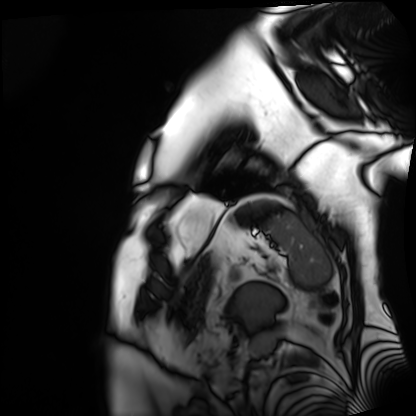
Cardiac MRI. Subject group: patient.